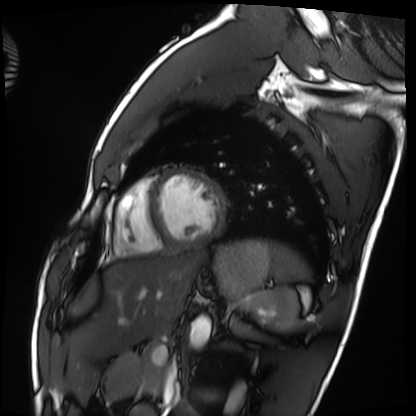
| field | value |
|---|---|
| modality | cardiac MRI |
| subject group | healthy volunteer |